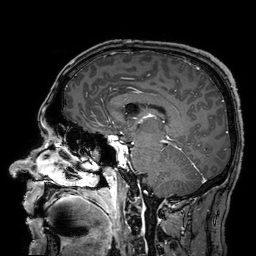
{"modality": {"type": "brain MRI", "field_strength": "3T"}, "series": "3D T1-weighted turbo field echo with SENSE", "study_topic": "ring-enhancing brain masses"}